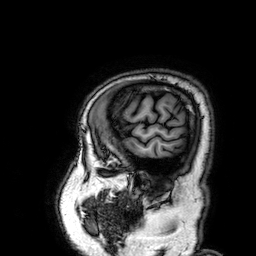
modality = 3 Tesla brain MRI | series = 3D T1-weighted | study = ring-enhancing brain masses.